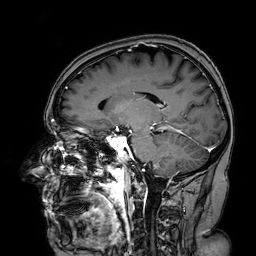
  modality:
    type: brain MRI
    field_strength: 3T
  series: 3D T1-weighted turbo field echo with SENSE
  study_topic: ring-enhancing brain masses